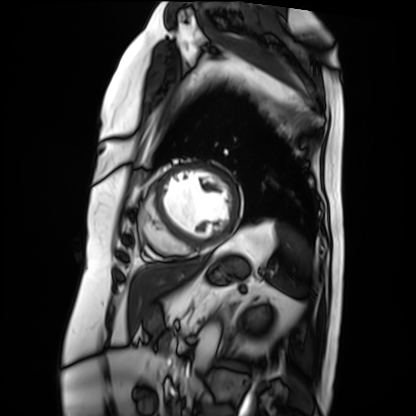
– modality — cardiac MRI
– subject group — patient